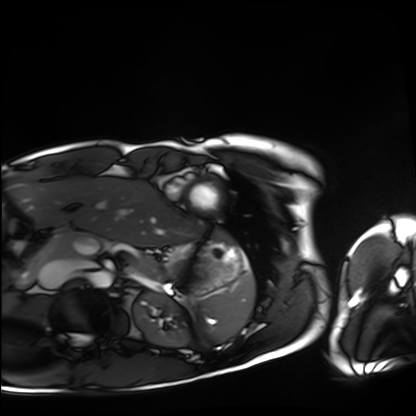
modality: cardiac MRI, subject group: healthy volunteer.